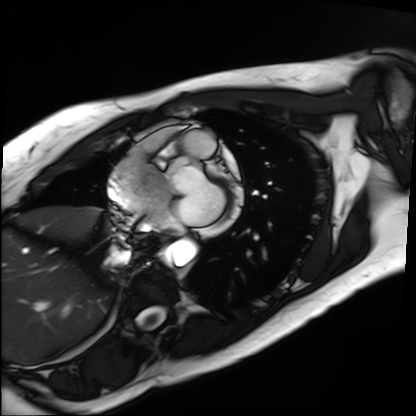
* modality · cardiac MRI
* subject group · patient